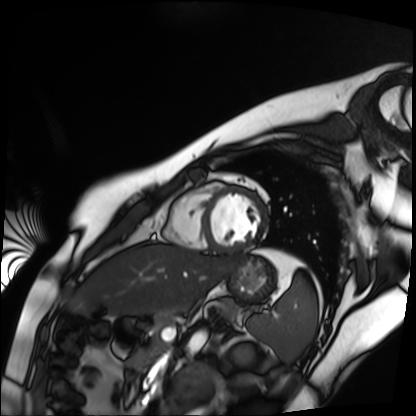
Case summary: Cardiac MR image of the myocardium. Subject cohort: healthy volunteer.